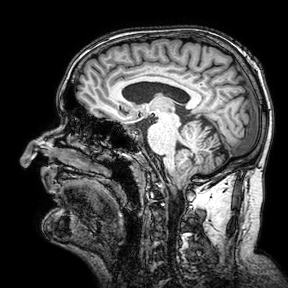
3 Tesla brain MRI. Series: 3D T1-weighted turbo field echo with SENSE. Study: ring-enhancing brain masses.